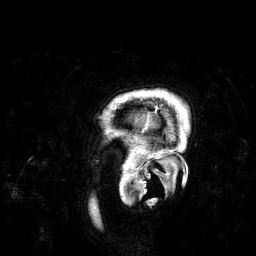
  modality:
    type: brain MRI
    field_strength: 3T
  series: 3D T1-weighted
  study_topic: ring-enhancing brain masses